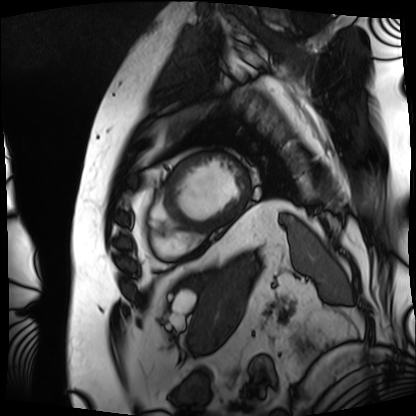
| field | value |
|---|---|
| modality | cardiac MRI |
| subject group | patient |